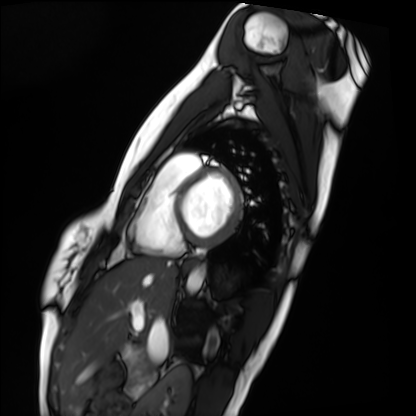
Cardiac MRI. Subject group: healthy volunteer.